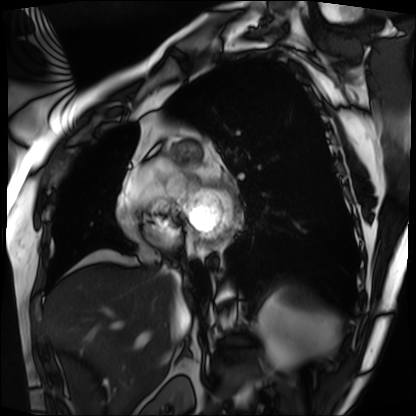
Cardiac MRI.
Subject group: patient.